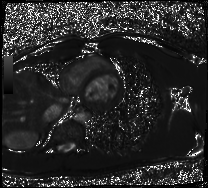
Q: What kind of scan is this?
A: Cardiac MRI.
Subject group: healthy volunteer.